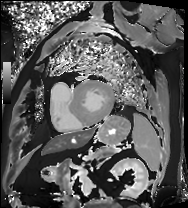
Cardiac MRI.
Subject group: patient.